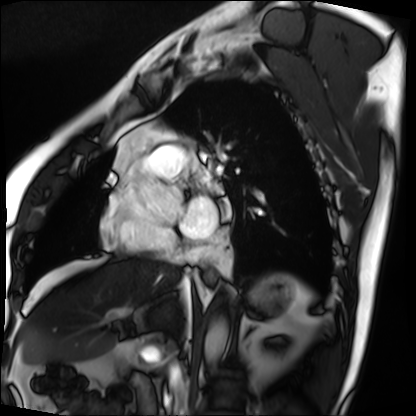
Q: What kind of scan is this?
A: Cardiac MRI.
Subject group: patient.